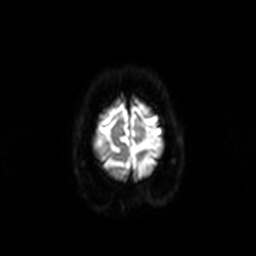
modality — 3 Tesla brain MRI
series — diffusion-weighted imaging
study — ring-enhancing brain masses